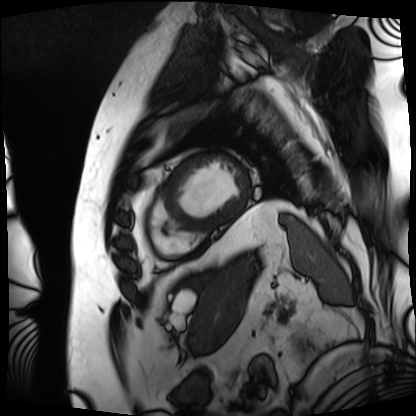
Cardiac MRI.
Subject group: patient.